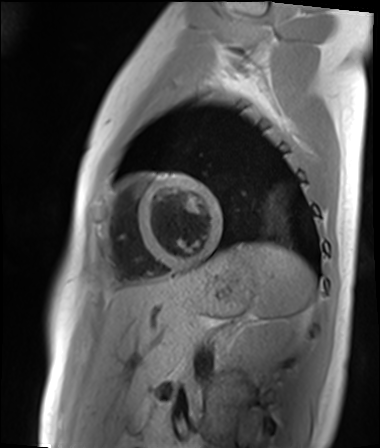
Clinical context: Cardiac MR image of the myocardium. Subject cohort: healthy volunteer.